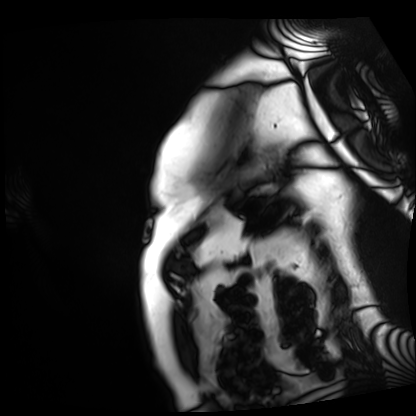
| field | value |
|---|---|
| modality | cardiac MRI |
| subject group | patient |